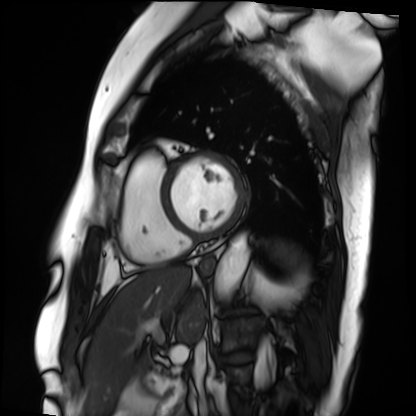
modality: cardiac MRI; subject group: patient.